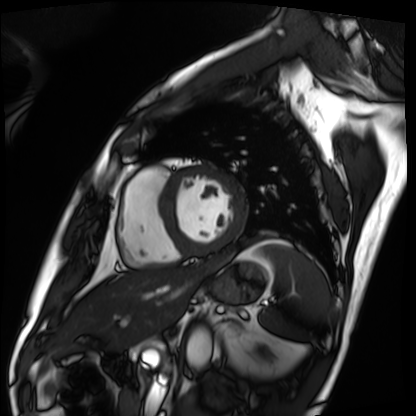
Cardiac MRI. Subject group: patient.